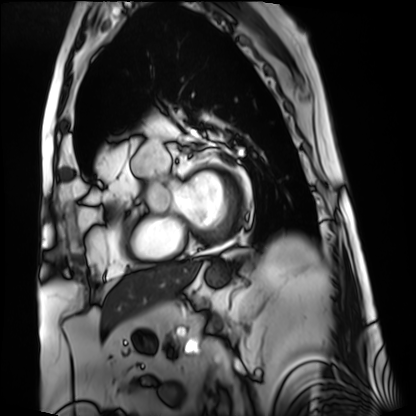
Cardiac MRI. Subject group: patient.